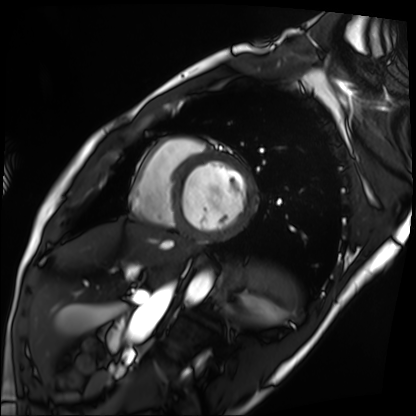
Summary: Cardiac MRI. Subject group: patient.